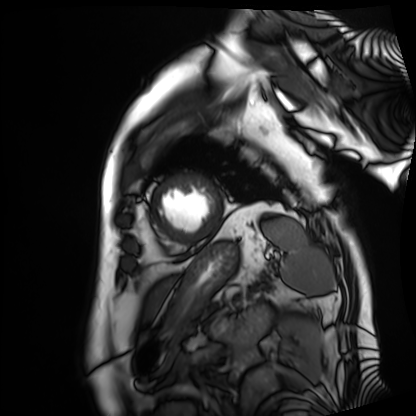
Cardiac MRI.
Subject group: patient.